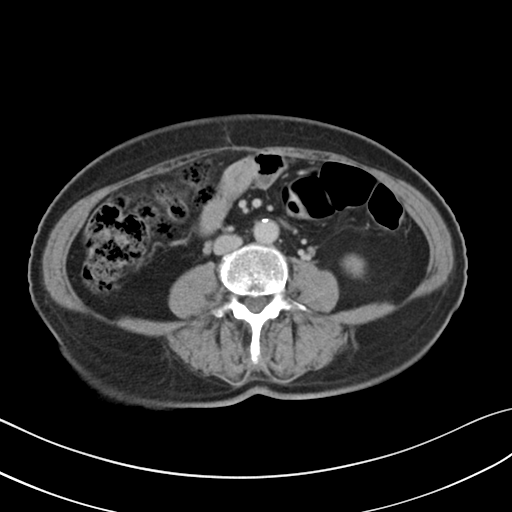
Summary: Multiphase abdominal CT, liver, delayed phase. Patient: female, age 65.